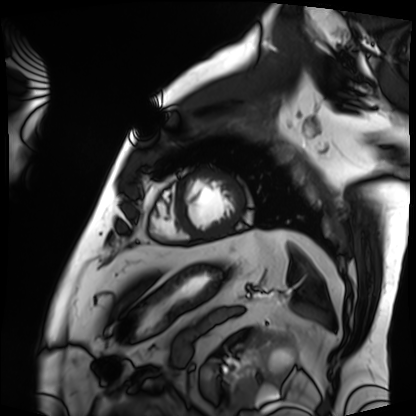
* modality: cardiac MRI
* subject group: patient